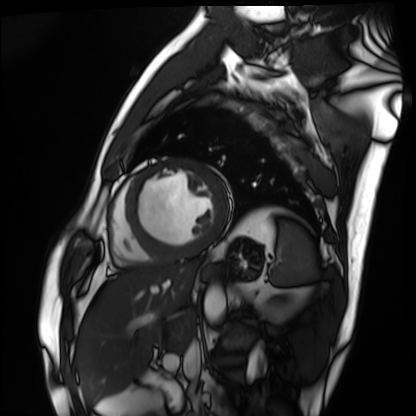
{
  "modality": "cardiac MRI",
  "cohort": "patient"
}